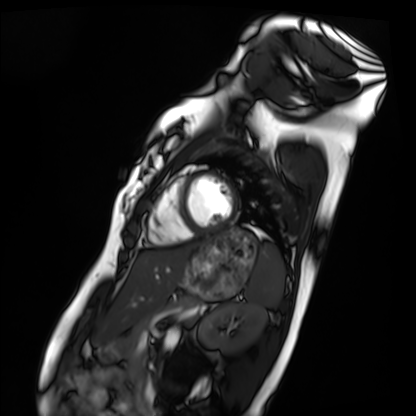
• modality: cardiac MRI
• subject group: healthy volunteer